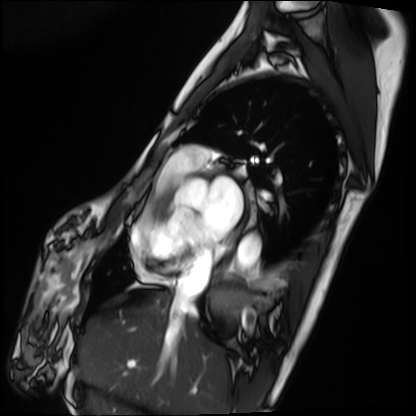
Cardiac MRI. Subject group: patient.